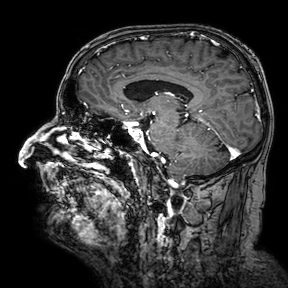
3 Tesla brain MRI. Series: 3D T1-weighted turbo field echo with SENSE. Study: ring-enhancing brain masses.